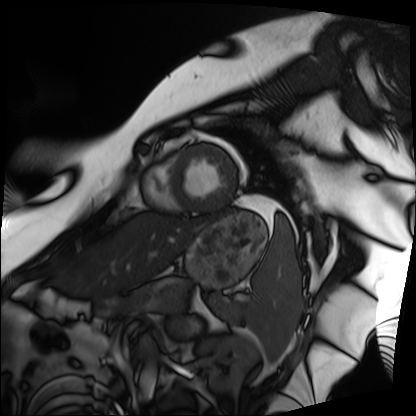
Cardiac MRI. Subject group: patient.